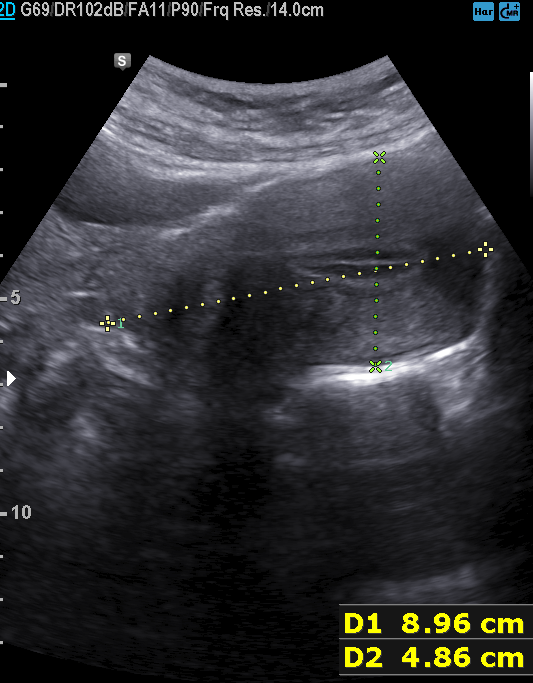
{
  "modality": {
    "type": "genitourinary ultrasound"
  }
}